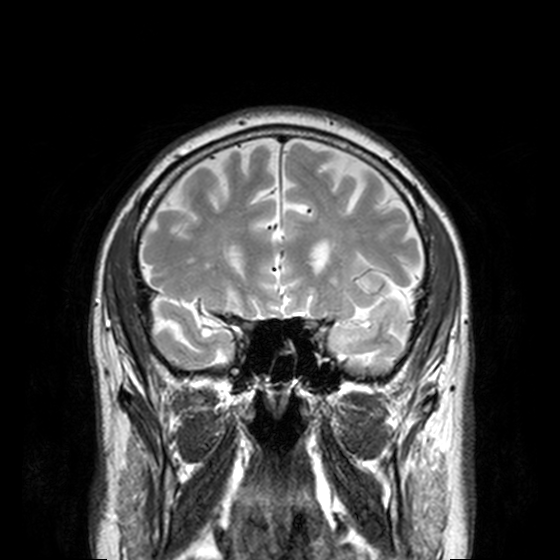
Q: What kind of scan is this?
A: 3 Tesla brain MRI.
Q: Series?
A: T2-weighted turbo spin echo, 3 mm.
Study: ring-enhancing brain masses.